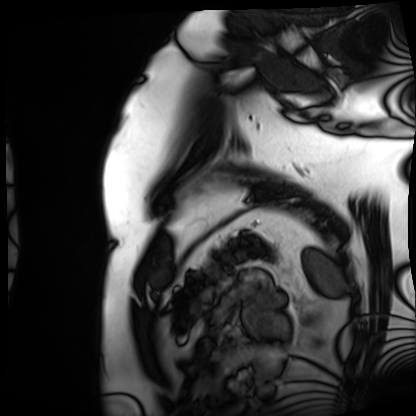
Cardiac MRI. Subject group: patient.